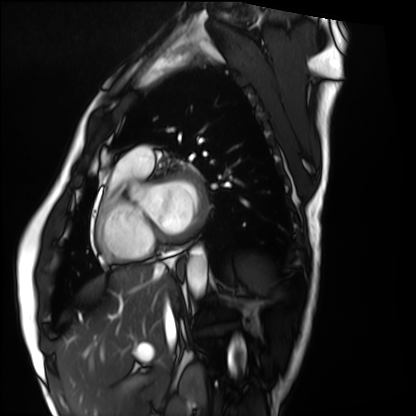
Q: What kind of scan is this?
A: Cardiac MRI.
Subject group: healthy volunteer.